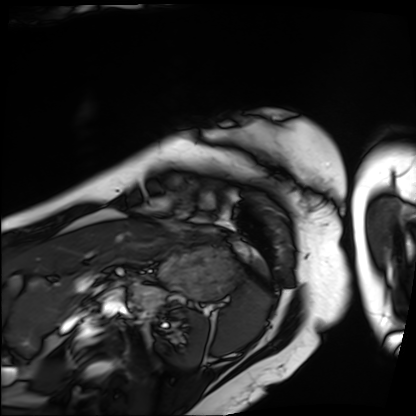
Summary: Cardiac MRI. Subject group: patient.